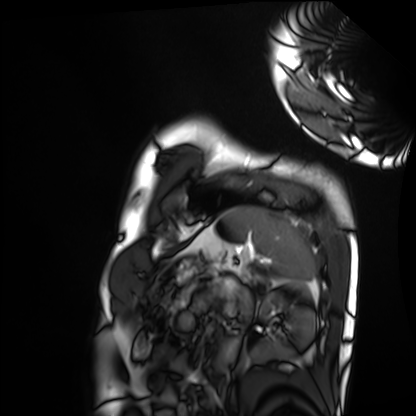
Clinical context: Cardiac MRI. Subject group: healthy volunteer.